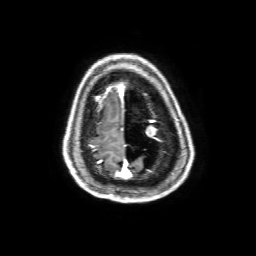
3 Tesla brain MRI.
Series: 3D T1-weighted with SENSE.
Study: ring-enhancing brain masses.